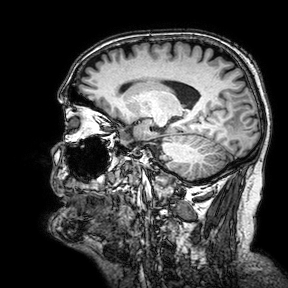
Case:
* modality · 3 Tesla brain MRI
* series · 3D T1-weighted turbo field echo with SENSE
* study · ring-enhancing brain masses